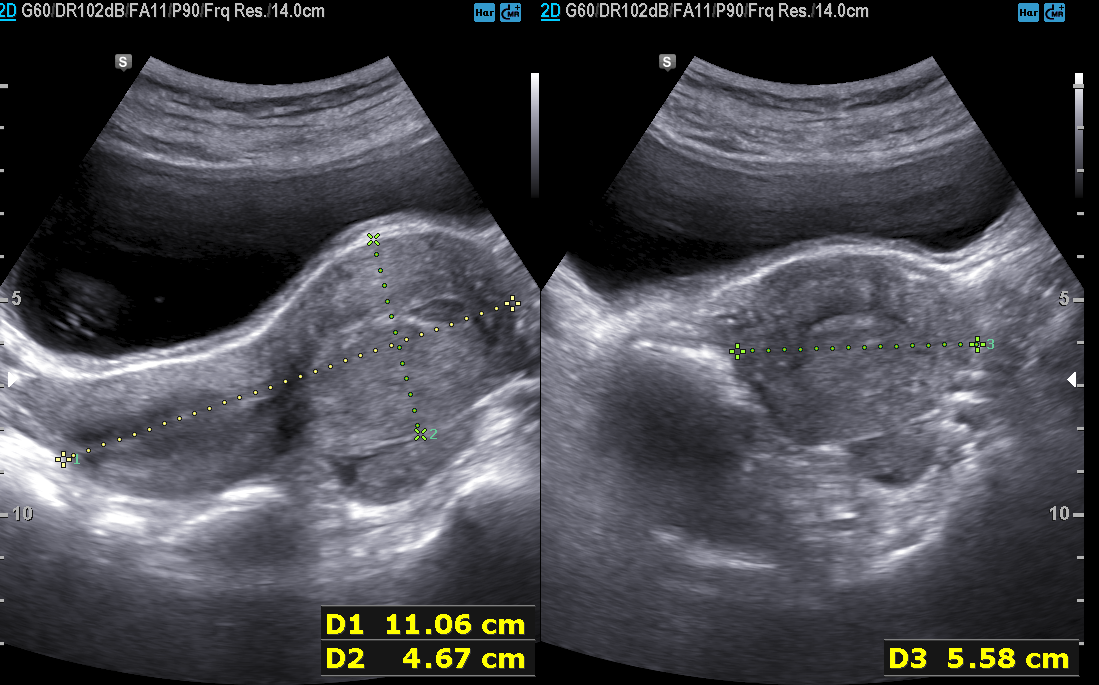
modality:
  type: genitourinary ultrasound